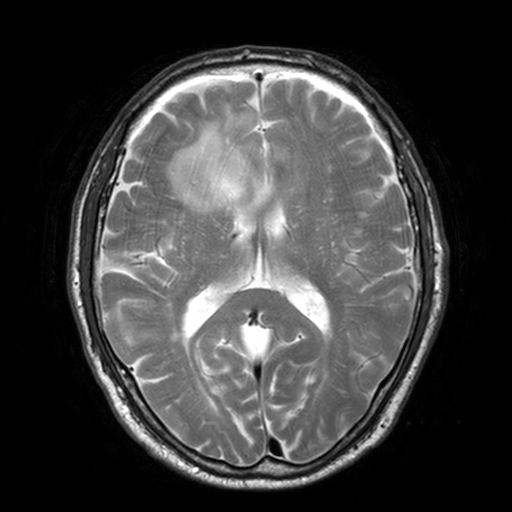
3 Tesla brain MRI.
Series: T2-weighted turbo spin echo, 3 mm.
Study: ring-enhancing brain masses.